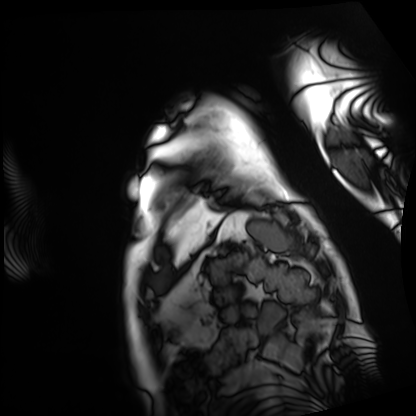
Q: What kind of scan is this?
A: Cardiac MRI.
Subject group: patient.